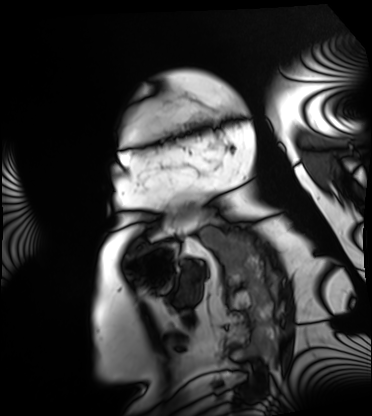
Summary:
Cardiac MRI. Subject group: patient.